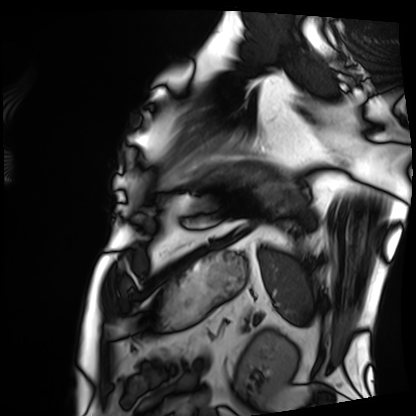
modality: cardiac MRI, subject group: patient.